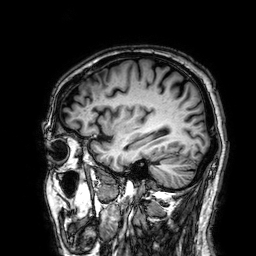
<study>
  <modality>
    <type>brain MRI</type>
    <field_strength>3T</field_strength>
  </modality>
  <series>3D T1-weighted</series>
  <study_topic>ring-enhancing brain masses</study_topic>
</study>